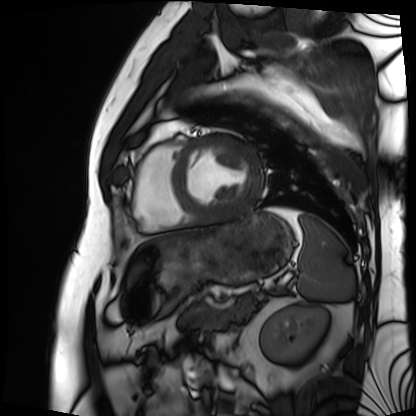
modality=cardiac MRI
subject group=patient